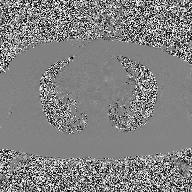
Q: What kind of scan is this?
A: 2D phase-contrast cine MRI of the ascending aorta.